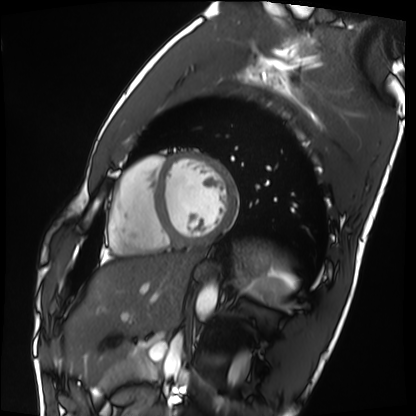
Clinical context: Cardiac MRI. Subject group: healthy volunteer.